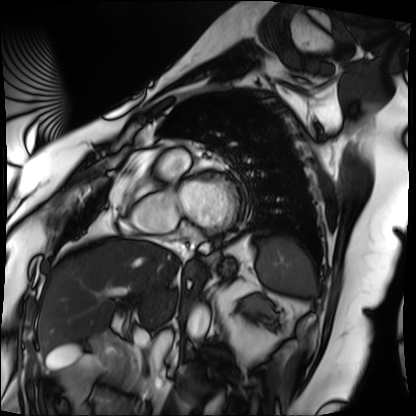
{
  "modality": "cardiac MRI",
  "cohort": "patient"
}